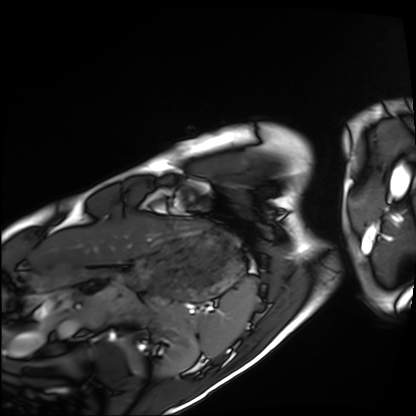
* modality — cardiac MRI
* subject group — healthy volunteer